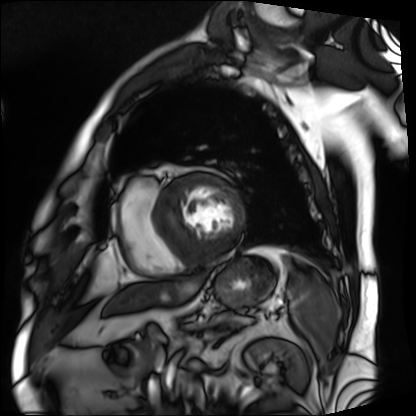
| field | value |
|---|---|
| modality | cardiac MRI |
| subject group | patient |